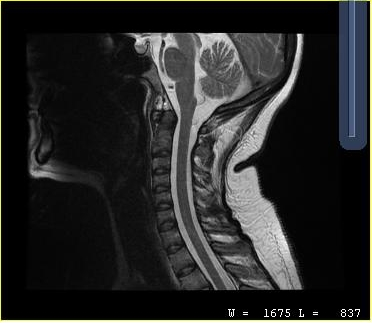
modality = MRI of the cervical spine; study = cervical spondylosis.